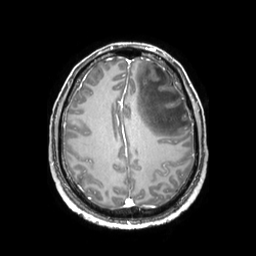
3 Tesla brain MRI. Series: 3D T1-weighted TFE with SENSE. Study: ring-enhancing brain masses.